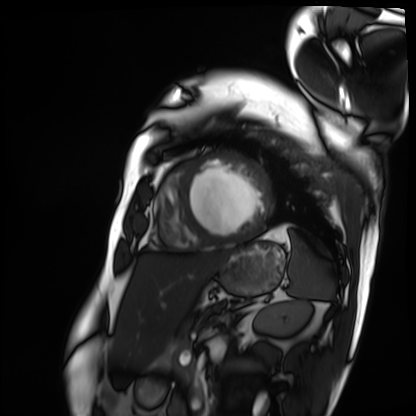
modality=cardiac MRI; subject group=patient.